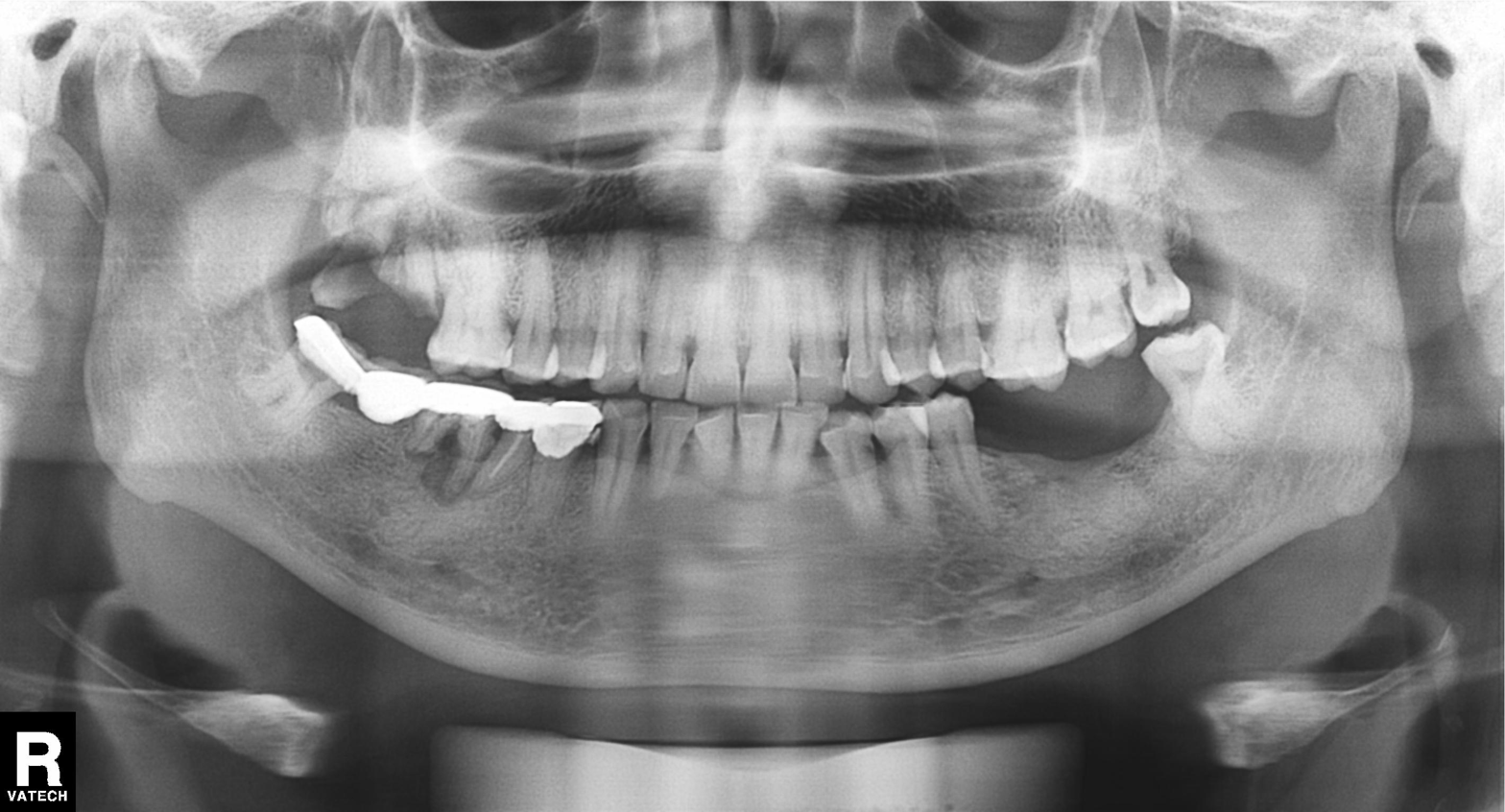
Q: What kind of scan is this?
A: Panoramic dental radiograph (orthopantomogram).
Q: What is the radiographic finding?
A: Tooth impaction.